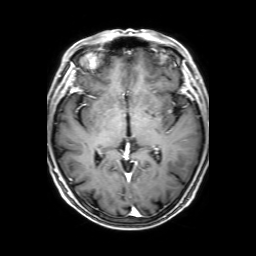
modality:
  type: brain MRI
  field_strength: 3T
series: 3D T1-weighted with SENSE
study_topic: ring-enhancing brain masses